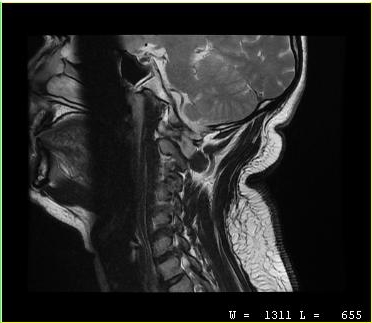
MRI of the cervical spine.
Study: cervical spondylosis.